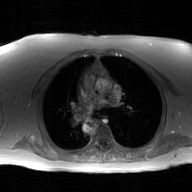
modality: 2D phase-contrast cine MRI of the ascending aorta, GAN super-resolution reconstruction.